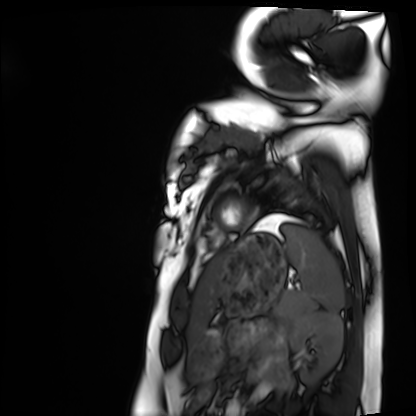
<study>
  <modality>cardiac MRI</modality>
  <cohort>healthy volunteer</cohort>
</study>